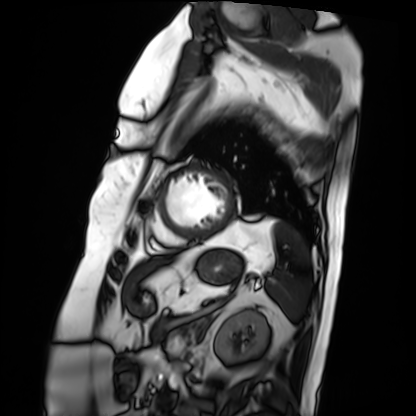
modality = cardiac MRI | subject group = patient.